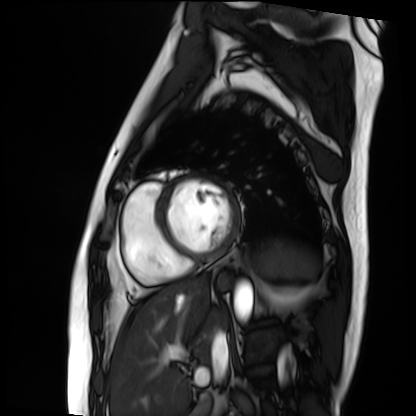
Case:
* modality — cardiac MRI
* subject group — patient